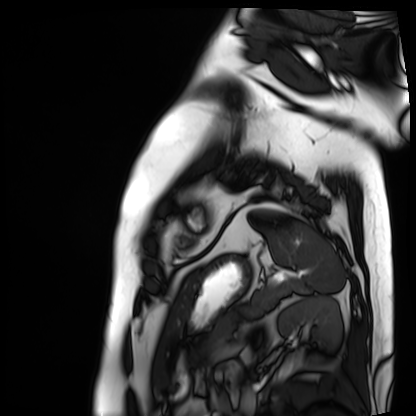
modality — cardiac MRI; subject group — patient.